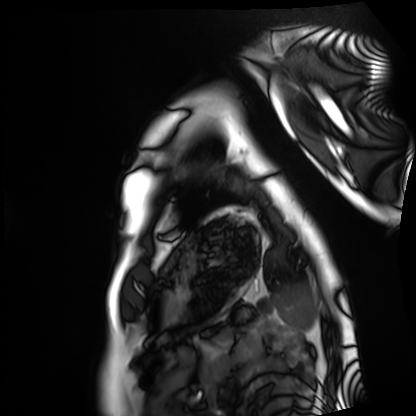
Cardiac MRI. Subject group: healthy volunteer.